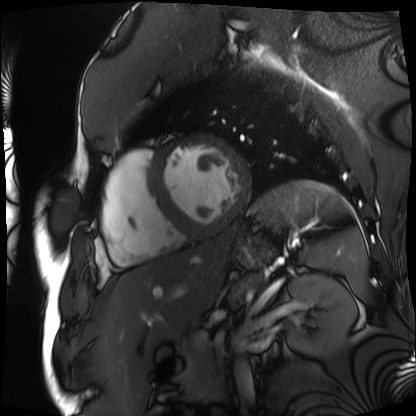
modality=cardiac MRI
subject group=patient